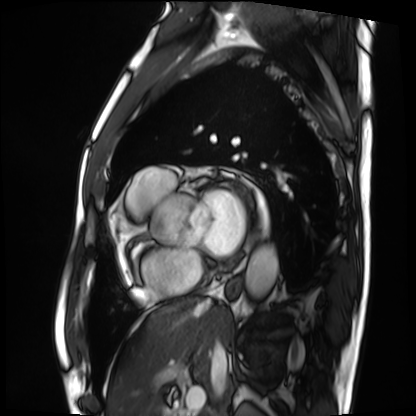
Clinical context:
Cardiac MRI. Subject group: patient.